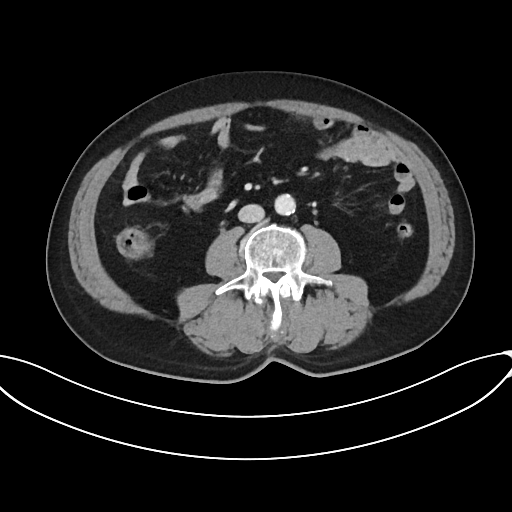
  modality:
    type: multiphase abdominal CT
    region: liver
    phase: portal venous
  patient:
    sex: male
    age: 69